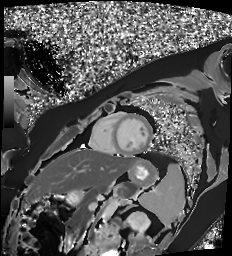
| field | value |
|---|---|
| modality | cardiac MR image of the myocardium |
| subject cohort | healthy volunteer |